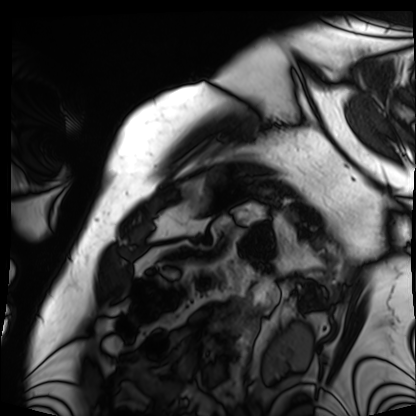
Cardiac MRI.
Subject group: patient.